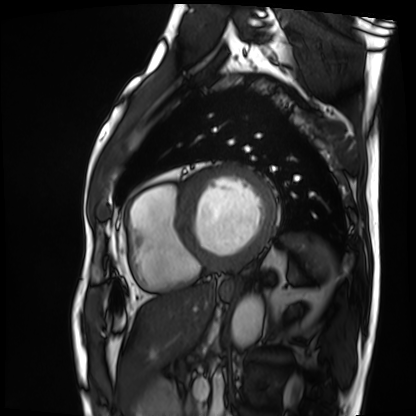
  modality: cardiac MRI
  cohort: patient